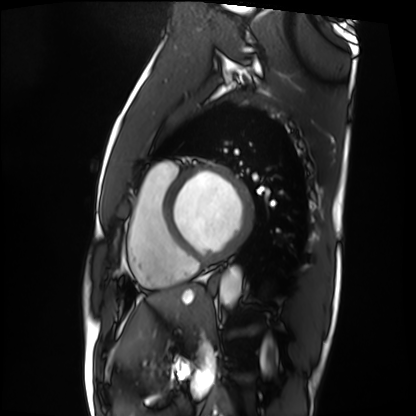
{
  "modality": "cardiac MRI",
  "cohort": "patient"
}